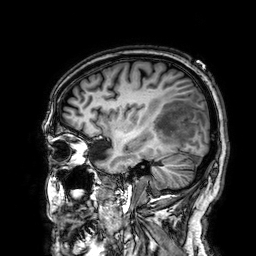
modality — 3 Tesla brain MRI; series — 3D T1-weighted; study — ring-enhancing brain masses.